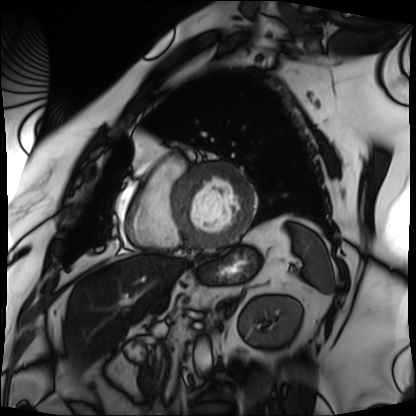
Cardiac MRI. Subject group: patient.